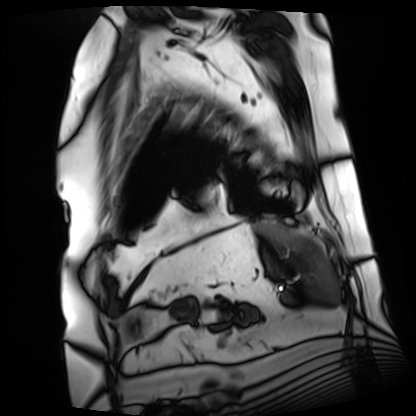
Cardiac MRI.
Subject group: patient.